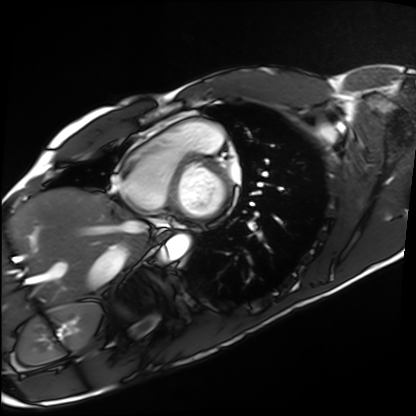
Cardiac MRI. Subject group: healthy volunteer.